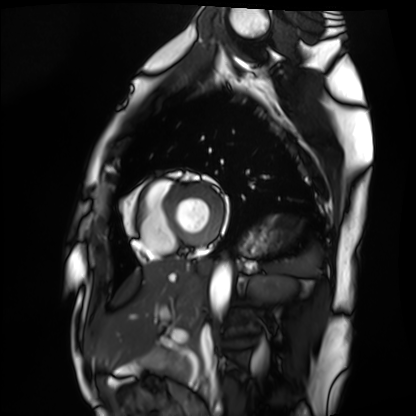
– modality: cardiac MRI
– subject group: healthy volunteer